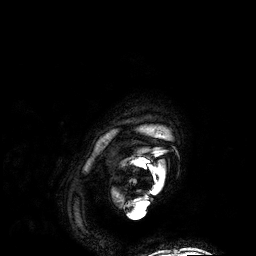
modality: 3 Tesla brain MRI | series: 3D T1-weighted | study: ring-enhancing brain masses.